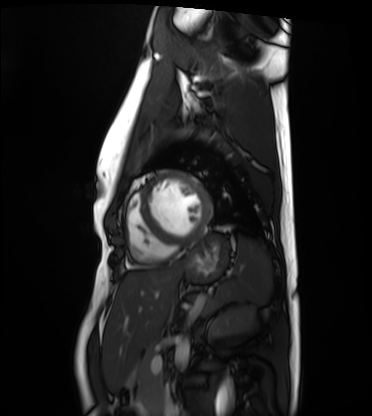
Summary: Cardiac MRI. Subject group: healthy volunteer.